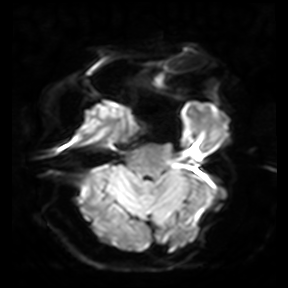
Q: What kind of scan is this?
A: 3 Tesla brain MRI.
Q: Series?
A: Diffusion-weighted imaging.
Study: ring-enhancing brain masses.